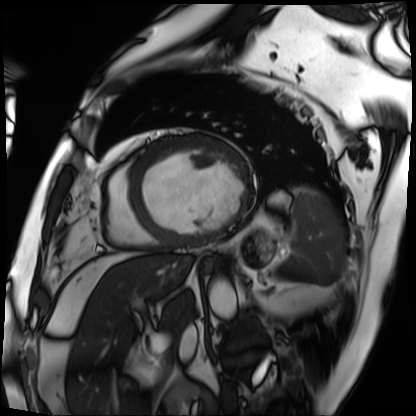
modality = cardiac MRI
subject group = patient